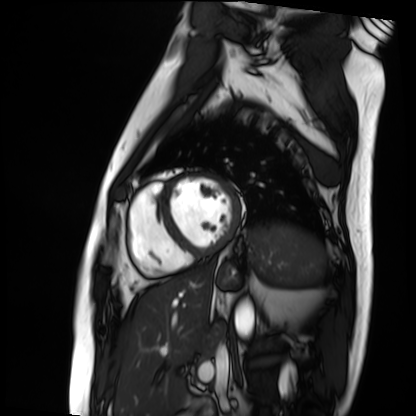
Summary:
Cardiac MRI. Subject group: patient.